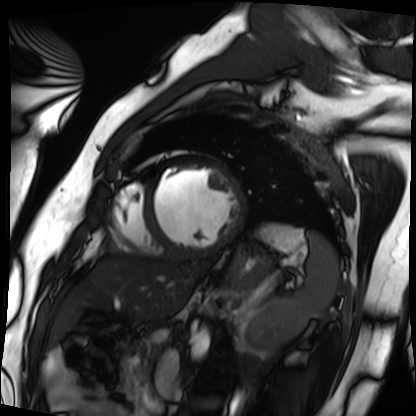
modality: cardiac MRI, subject group: patient.